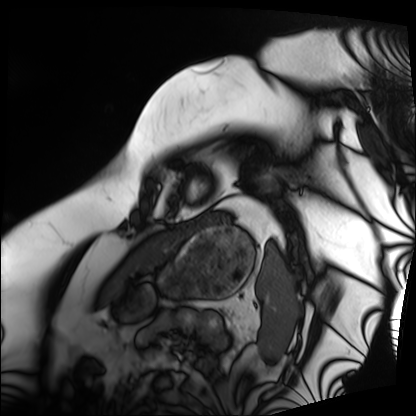
{"modality": "cardiac MRI", "cohort": "patient"}